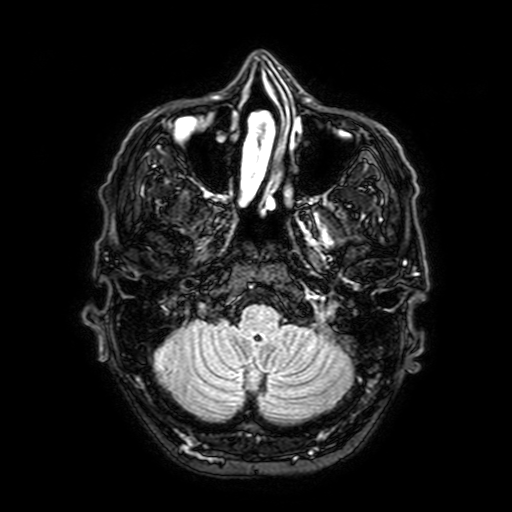
Case summary: 3 Tesla brain MRI. Series: FLAIR with SPAIR, 3 mm. Study: ring-enhancing brain masses.